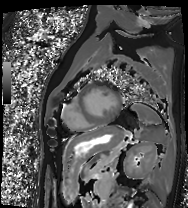
Cardiac MRI.
Subject group: patient.